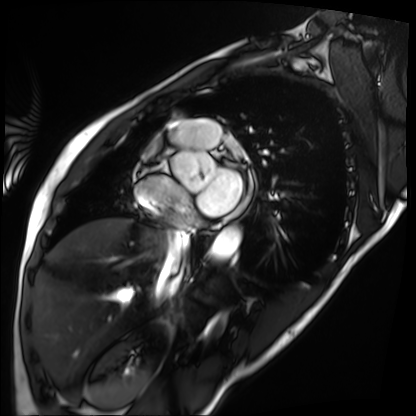
| field | value |
|---|---|
| modality | cardiac MRI |
| subject group | patient |